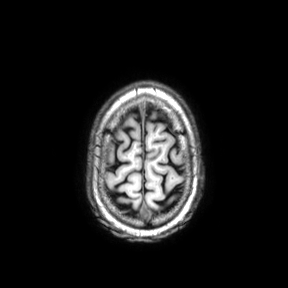
Clinical context:
3 Tesla brain MRI. Series: axial. Study: ring-enhancing brain masses.